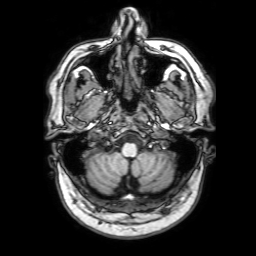
3 Tesla brain MRI.
Series: 3D T1-weighted with SENSE.
Study: ring-enhancing brain masses.